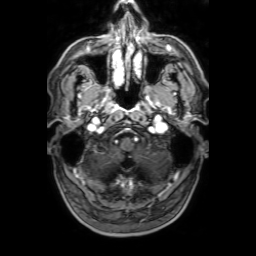
3 Tesla brain MRI. Study: ring-enhancing brain masses.